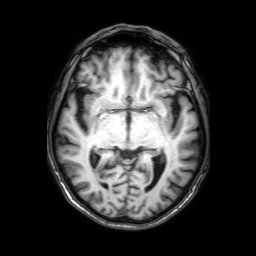
  modality:
    type: brain MRI
    field_strength: 3T
  series: 3D T1-weighted with SENSE
  study_topic: ring-enhancing brain masses